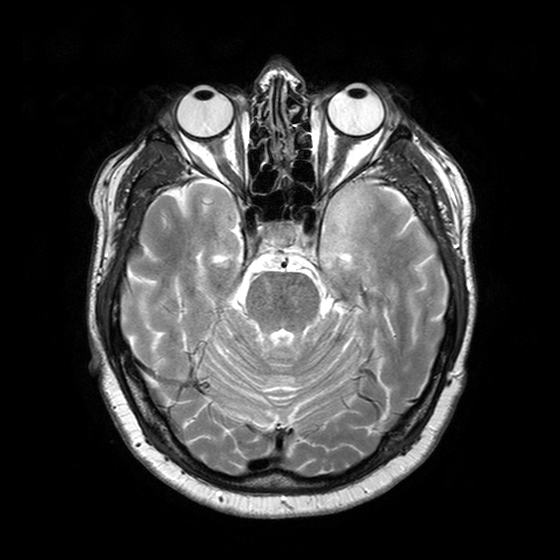
Clinical context: 3 Tesla brain MRI. Series: T2-weighted turbo spin echo with SENSE. Study: ring-enhancing brain masses.